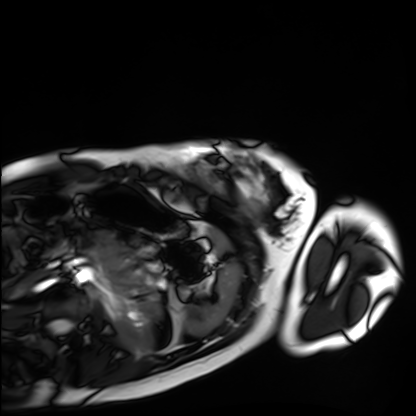
Cardiac MRI. Subject group: healthy volunteer.